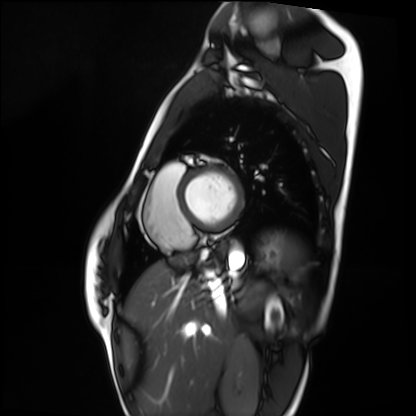
Cardiac MRI. Subject group: healthy volunteer.